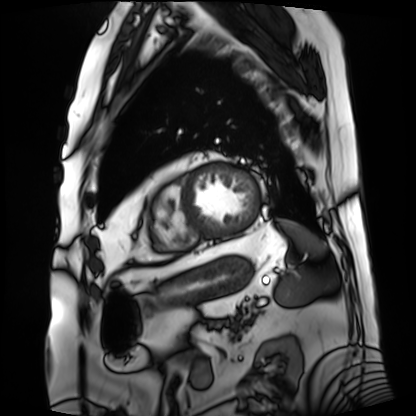
modality: cardiac MRI
cohort: patient